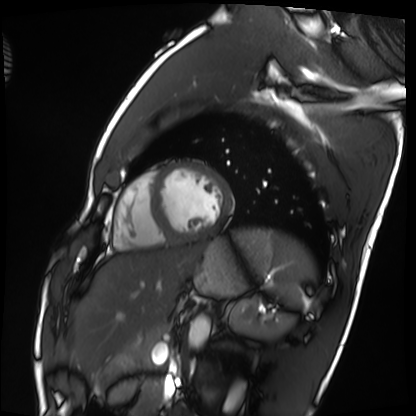
Clinical context: Cardiac MRI. Subject group: healthy volunteer.